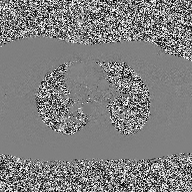
Summary: 2D phase-contrast cine MRI of the ascending aorta, high-resolution GRAPPA acquisition.